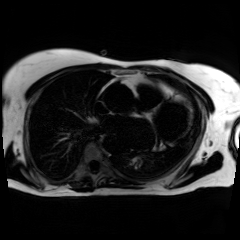
Case:
– modality: chemical-shift-encoded cardiac MRI